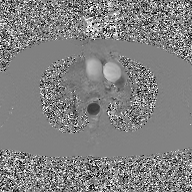
modality: 2D phase-contrast cine MRI of the ascending aorta, GAN super-resolution reconstruction.